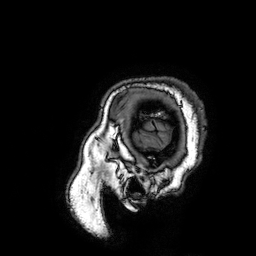
3 Tesla brain MRI. Study: ring-enhancing brain masses.